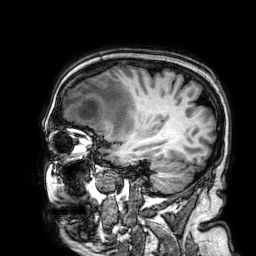
Q: What kind of scan is this?
A: 3 Tesla brain MRI.
Q: Series?
A: 3D T1-weighted.
Study: ring-enhancing brain masses.